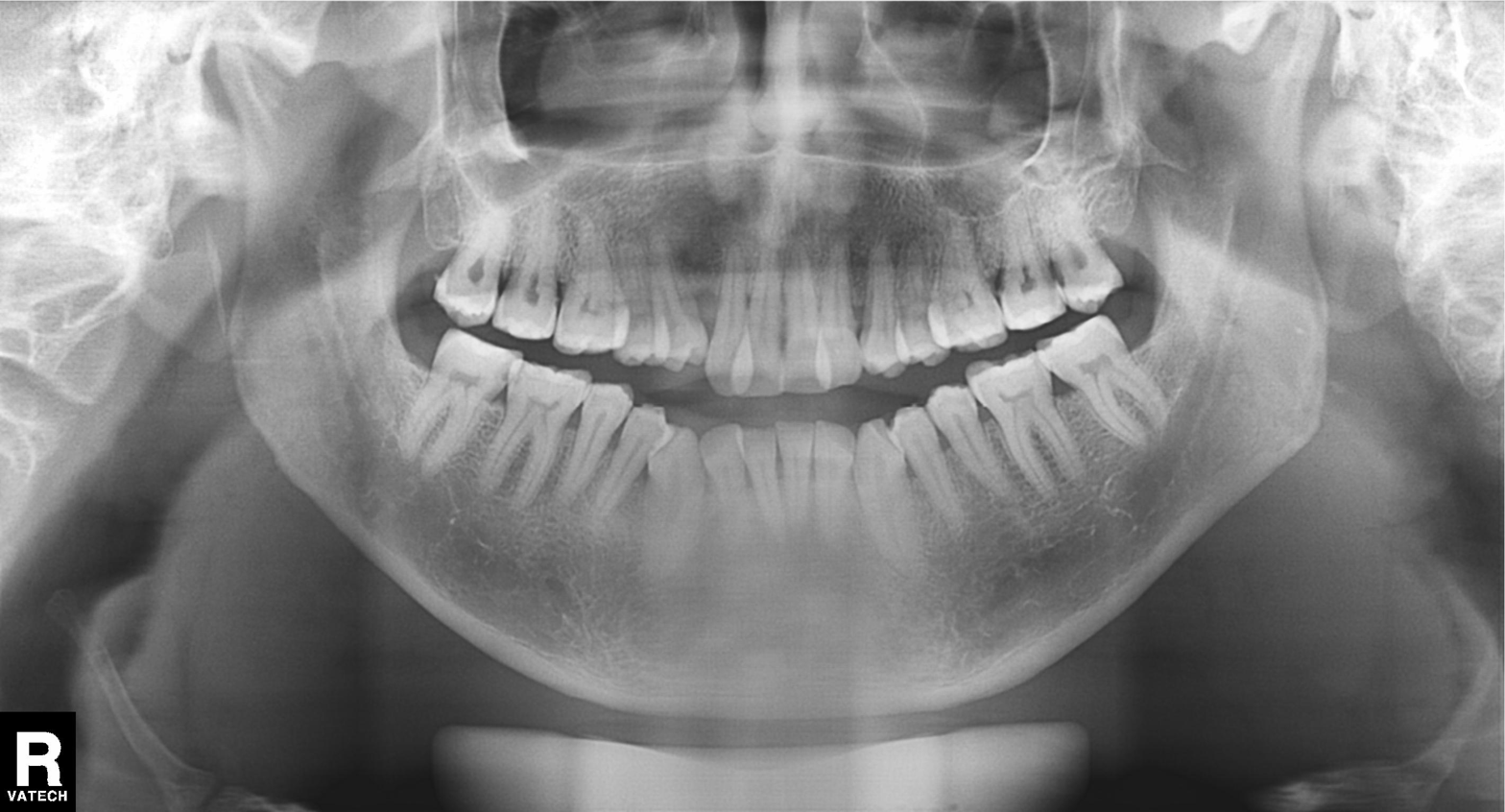
Summary: Panoramic dental radiograph (orthopantomogram).
Conclusion: Dental caries (cavities).